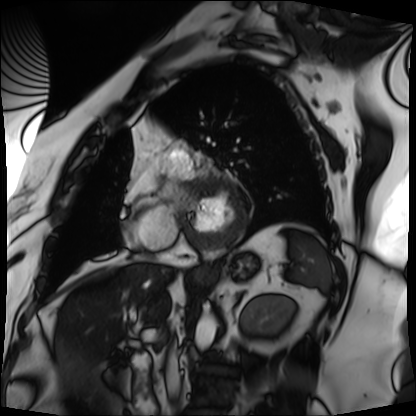
Cardiac MRI. Subject group: patient.